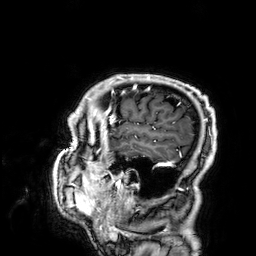
3 Tesla brain MRI.
Series: 3D T1-weighted.
Study: ring-enhancing brain masses.